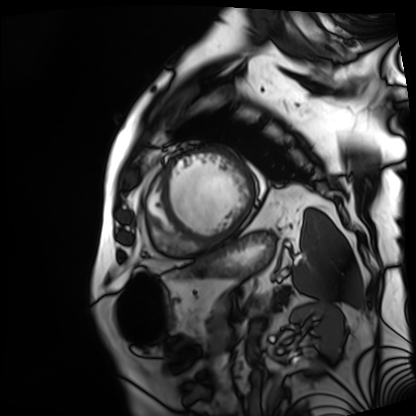
modality: cardiac MRI, subject group: patient.